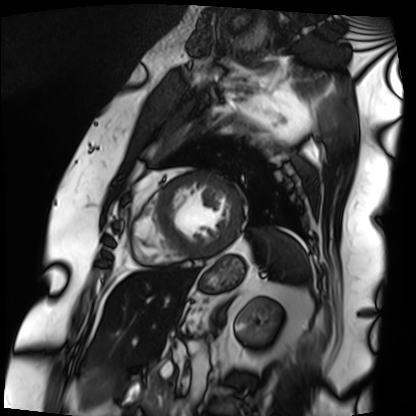
<study>
  <modality>cardiac MRI</modality>
  <cohort>patient</cohort>
</study>